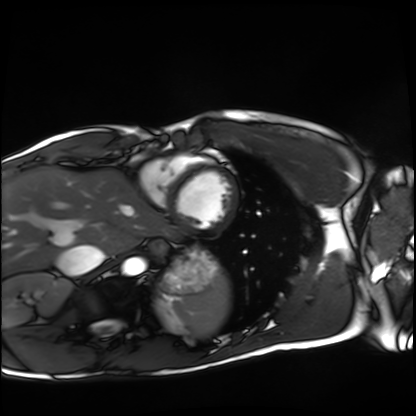
Cardiac MRI.
Subject group: healthy volunteer.